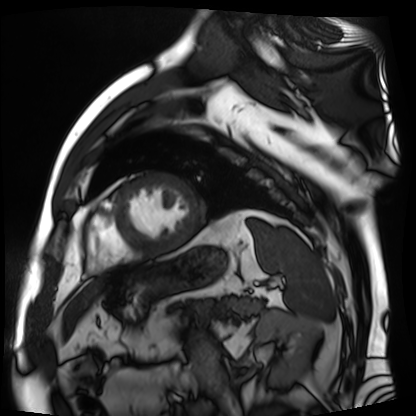
modality: cardiac MR image of the myocardium
subject cohort: cardiac patient